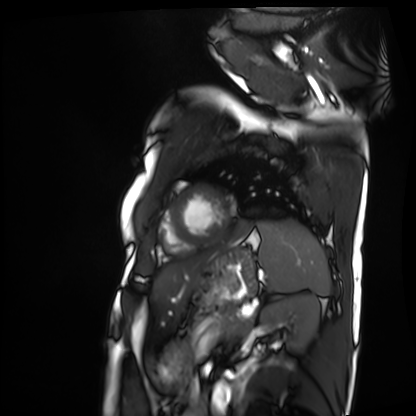
  modality: cardiac MRI
  cohort: patient